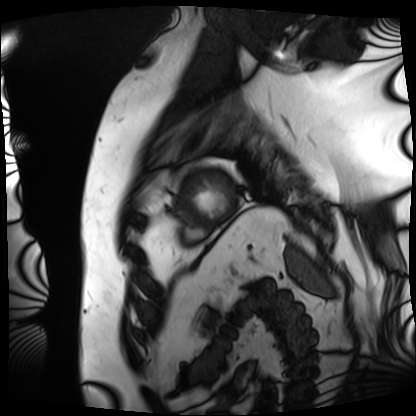
* modality — cardiac MRI
* subject group — patient